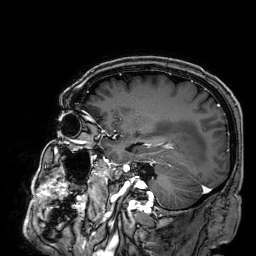
modality = 3 Tesla brain MRI; series = 3D T1-weighted; study = ring-enhancing brain masses.